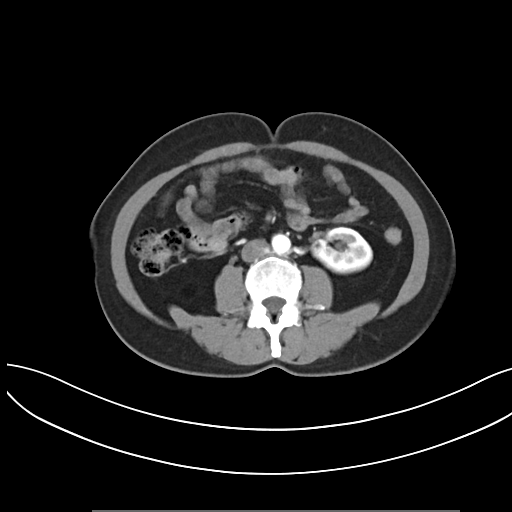
| field | value |
|---|---|
| modality | multiphase abdominal CT, liver, arterial phase |
| patient | female, age 50 |
| history | viral hepatitis |